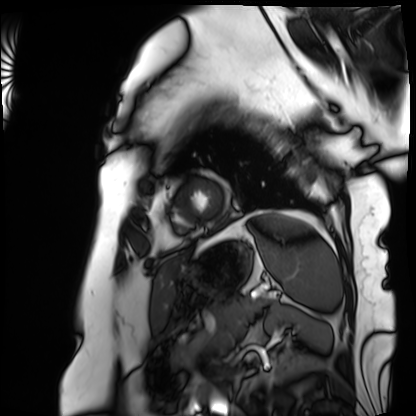
Summary: Cardiac MRI. Subject group: patient.